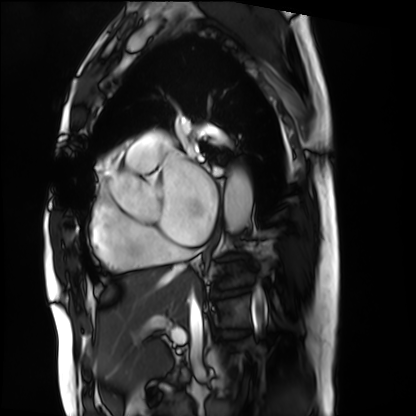
- modality: cardiac MRI
- subject group: patient